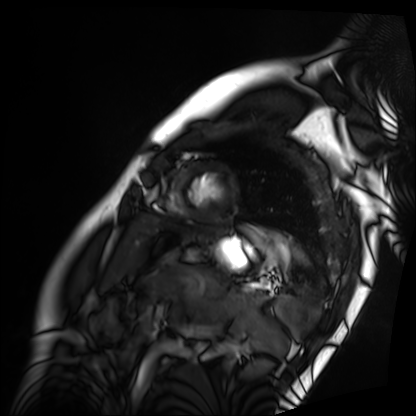
Case summary:
Cardiac MRI. Subject group: patient.